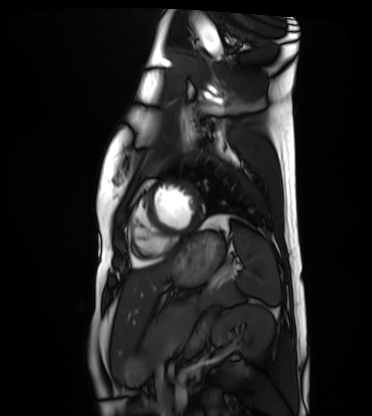
Cardiac MRI. Subject group: healthy volunteer.